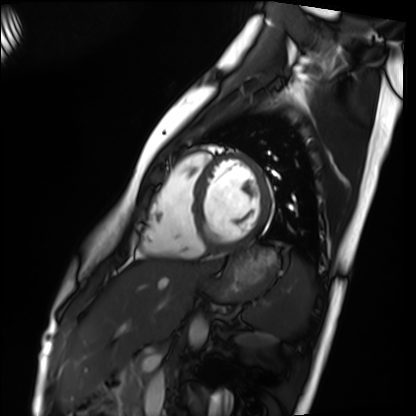
Cardiac MRI. Subject group: healthy volunteer.